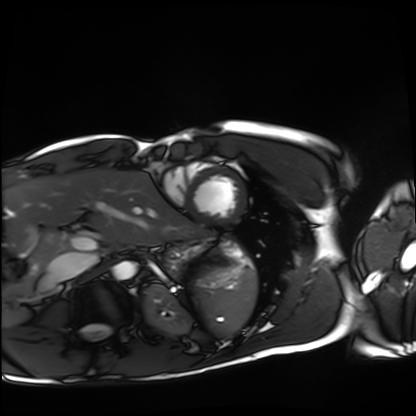
modality = cardiac MRI
subject group = healthy volunteer